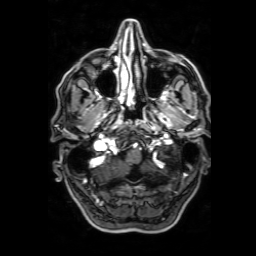
3 Tesla brain MRI. Series: 3D T1-weighted with SENSE. Study: ring-enhancing brain masses.